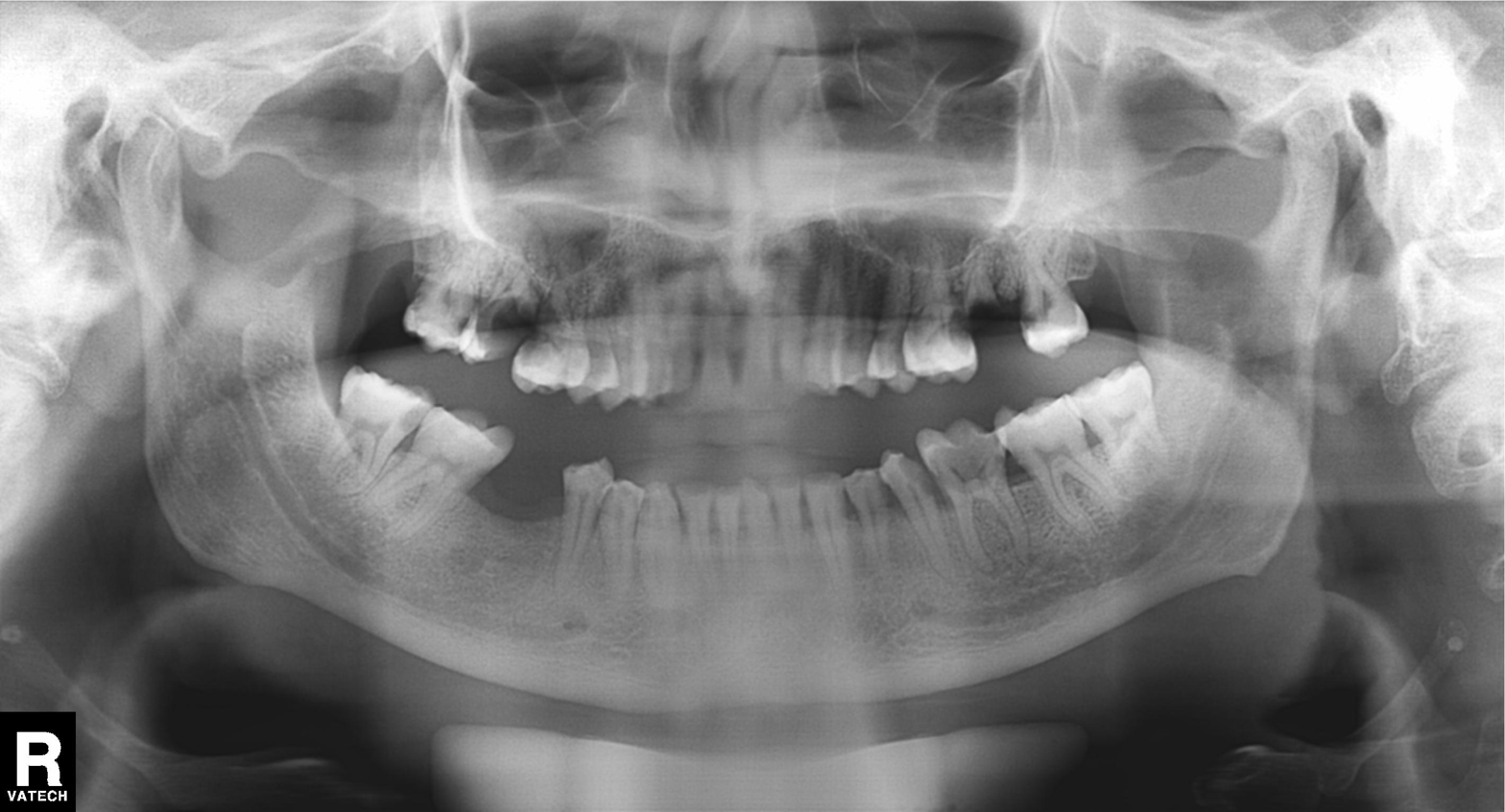
Case summary:
Panoramic dental radiograph (orthopantomogram).
Assessment:
Alveolar bone loss.